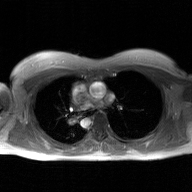
2D phase-contrast cine MRI of the ascending aorta, GAN super-resolution reconstruction.